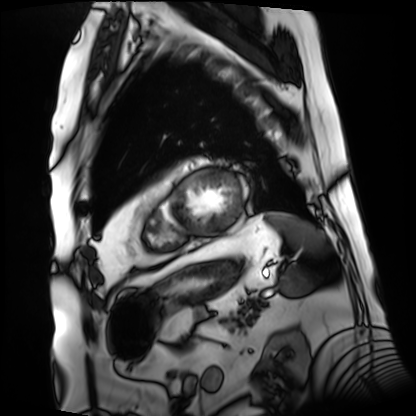
- modality: cardiac MRI
- subject group: patient